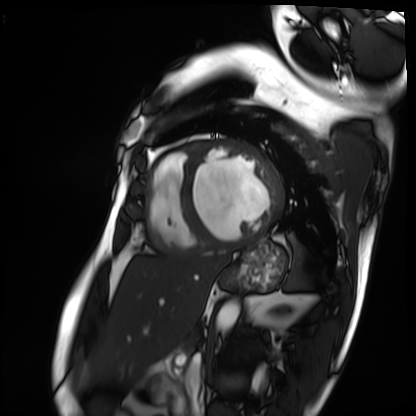
Case:
• modality — cardiac MRI
• subject group — patient